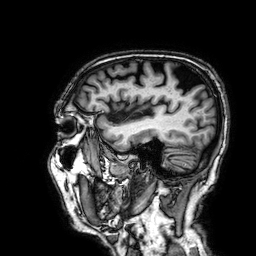
modality: 3 Tesla brain MRI | series: 3D T1-weighted | study: ring-enhancing brain masses.